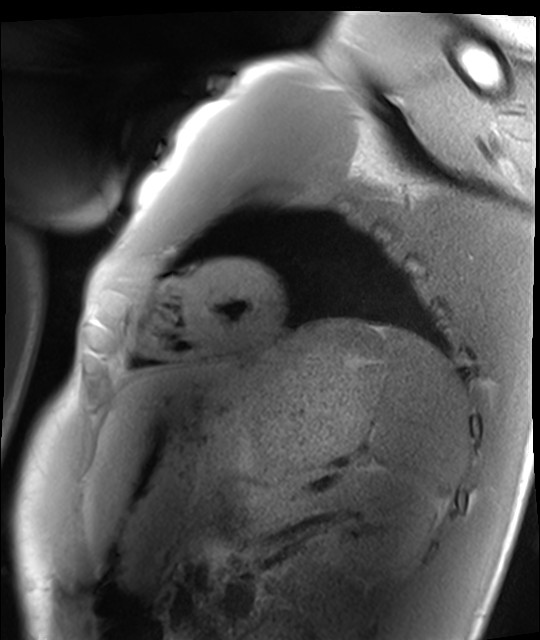
modality — cardiac MRI
subject group — healthy volunteer